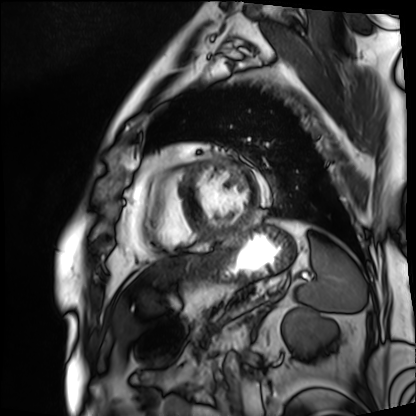
Cardiac MRI.
Subject group: patient.